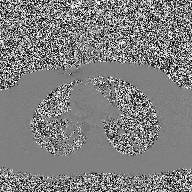
2D phase-contrast cine MRI of the ascending aorta, high-resolution GRAPPA acquisition.